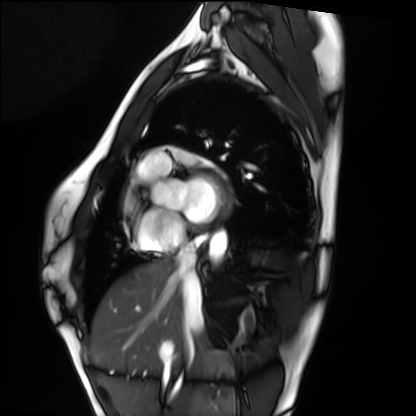
Q: What kind of scan is this?
A: Cardiac MRI.
Subject group: healthy volunteer.